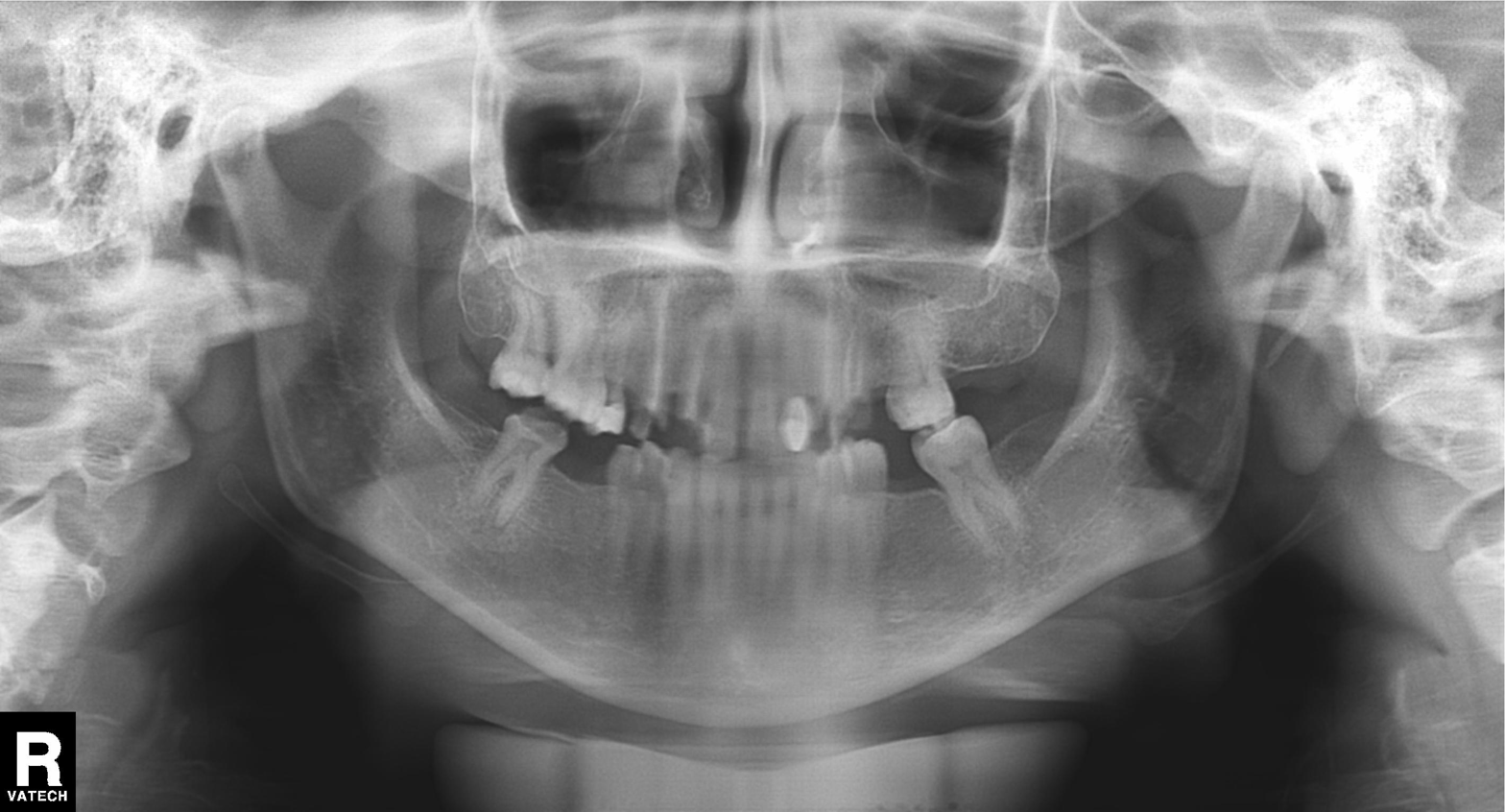
Case summary: Panoramic dental radiograph (orthopantomogram).
Impression: Alveolar bone loss.